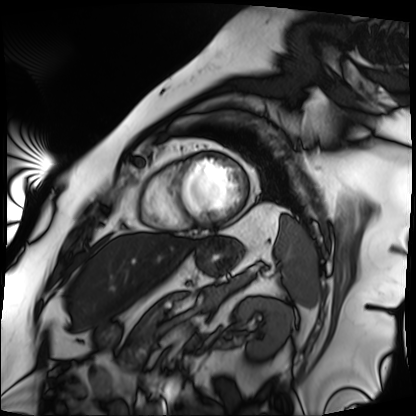
Cardiac MRI. Subject group: patient.